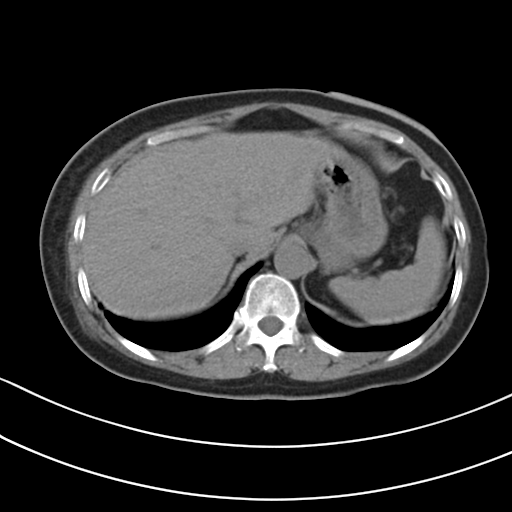
Multiphase abdominal CT, liver, non-contrast phase. Patient: female, age 54.